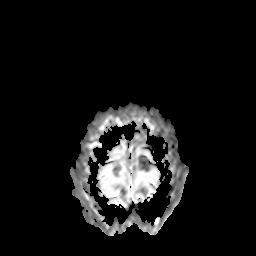
<case>
<modality>
  <type>brain MRI</type>
  <field_strength>3T</field_strength>
</modality>
<series>apparent diffusion coefficient (ADC) map</series>
<study_topic>ring-enhancing brain masses</study_topic>
</case>